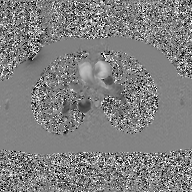
Summary: 2D phase-contrast cine MRI of the ascending aorta, GAN super-resolution reconstruction.